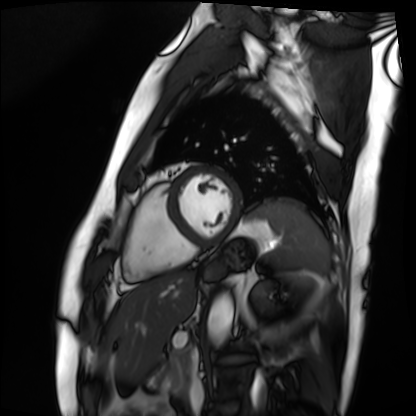
Cardiac MRI. Subject group: patient.